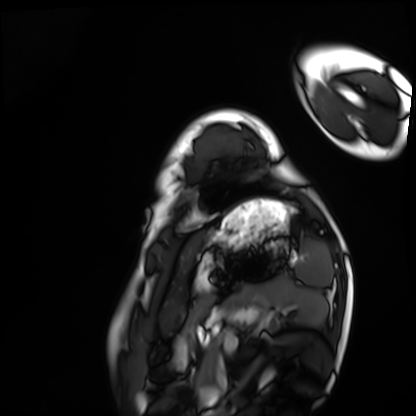
modality = cardiac MRI
subject group = healthy volunteer